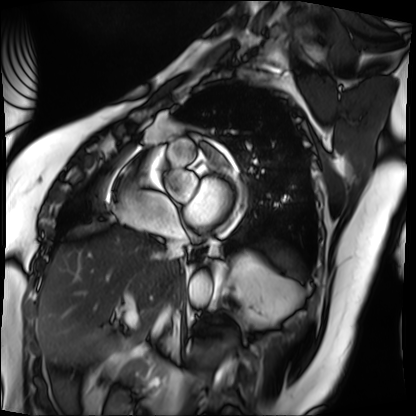
Clinical context:
Cardiac MRI. Subject group: patient.